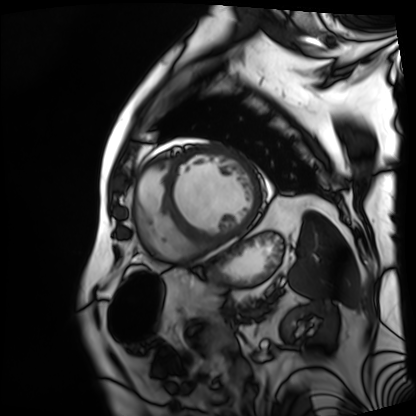
| field | value |
|---|---|
| modality | cardiac MRI |
| subject group | patient |